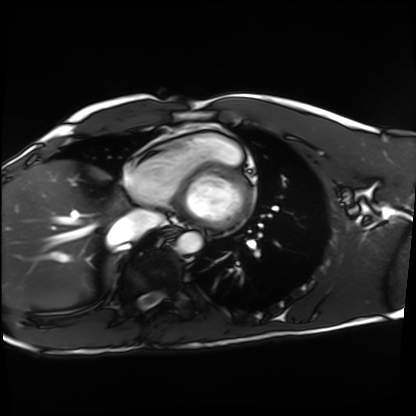
Cardiac MRI. Subject group: healthy volunteer.